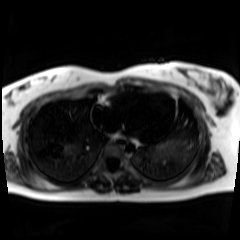
Chemical-shift-encoded cardiac MRI.